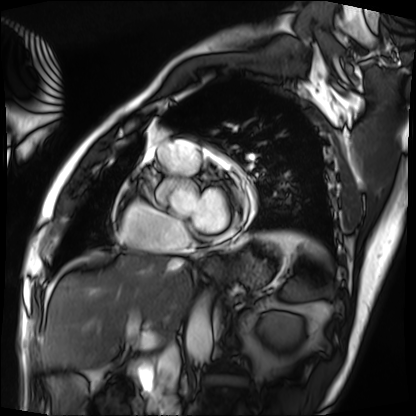
modality=cardiac MRI
subject group=patient